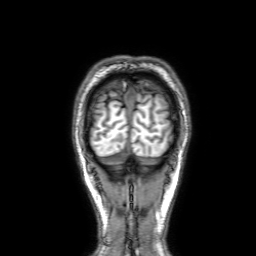
3 Tesla brain MRI. Series: 3D T1-weighted with SENSE. Study: ring-enhancing brain masses.